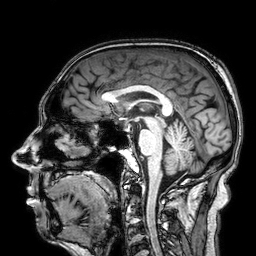
3 Tesla brain MRI.
Series: 3D T1-weighted.
Study: ring-enhancing brain masses.